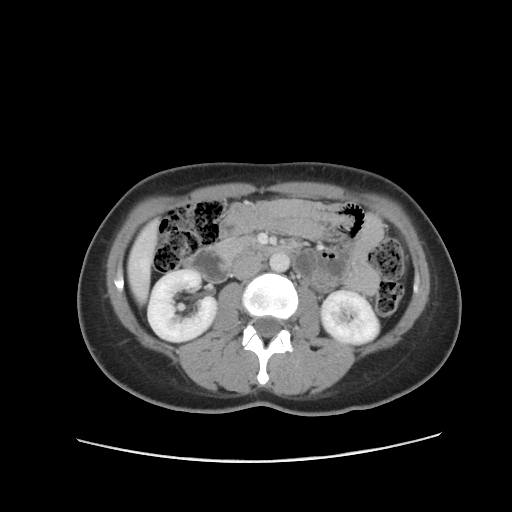
Summary: Multiphase abdominal CT, liver, portal venous phase. Patient: female, age 29.